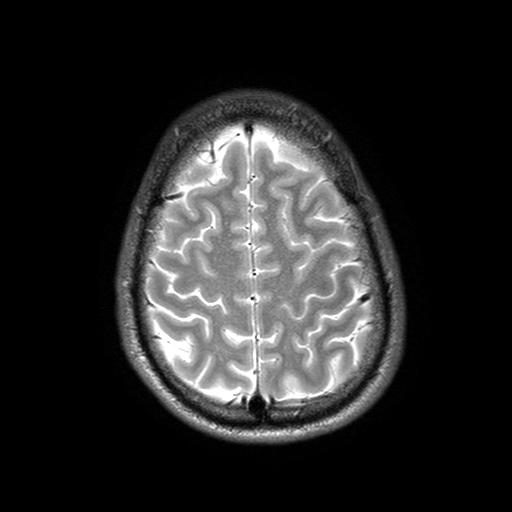
3 Tesla brain MRI. Series: T2-weighted turbo spin echo with SENSE. Study: ring-enhancing brain masses.